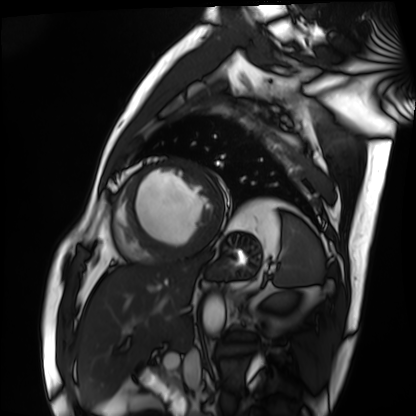
modality: cardiac MRI, subject group: patient.